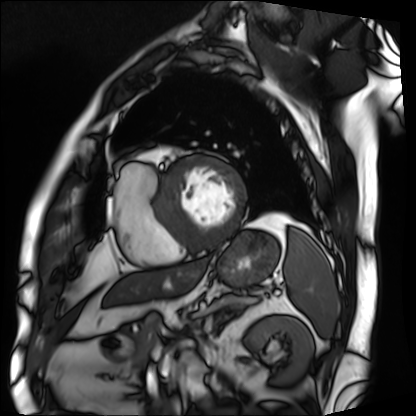
<case>
<modality>cardiac MRI</modality>
<cohort>patient</cohort>
</case>